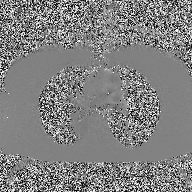
• modality: 2D phase-contrast cine MRI of the ascending aorta